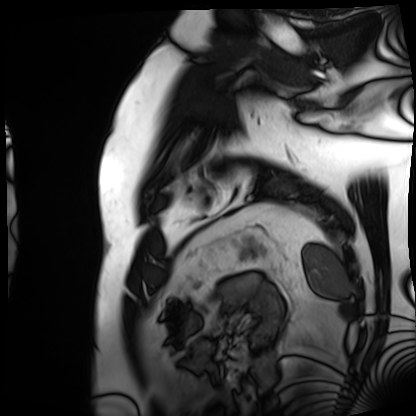
Cardiac MRI.
Subject group: patient.